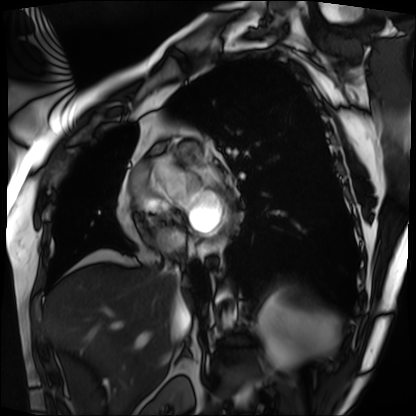
modality = cardiac MRI
subject group = patient